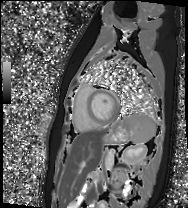
Cardiac MR image of the myocardium. Subject cohort: healthy volunteer.